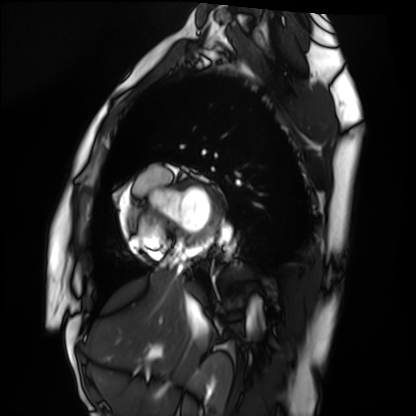
Cardiac MRI. Subject group: healthy volunteer.